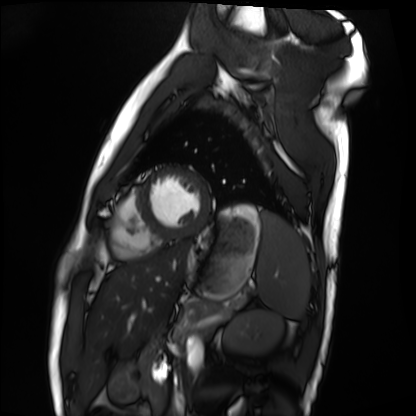
Clinical context:
Cardiac MRI. Subject group: healthy volunteer.